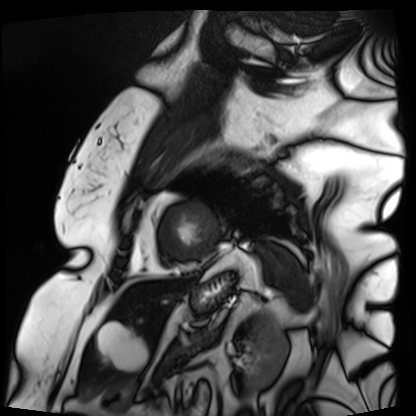
Q: What kind of scan is this?
A: Cardiac MRI.
Subject group: patient.